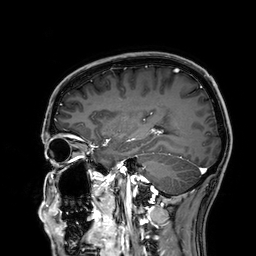
{"modality": {"type": "brain MRI", "field_strength": "3T"}, "series": "3D T1-weighted", "study_topic": "ring-enhancing brain masses"}